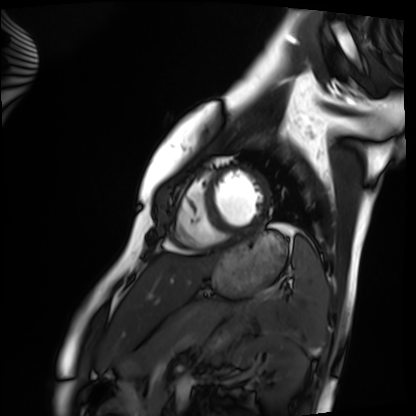
Case:
- modality: cardiac MRI
- subject group: healthy volunteer